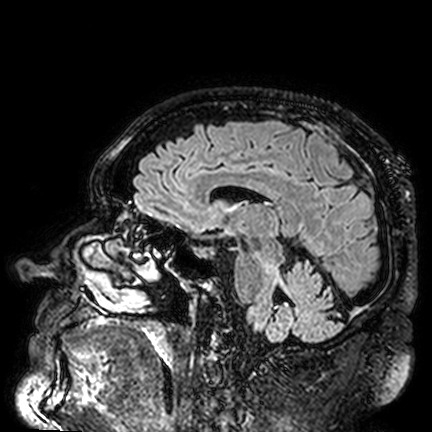
3 Tesla brain MRI. Series: FLAIR VISTA. Study: ring-enhancing brain masses.